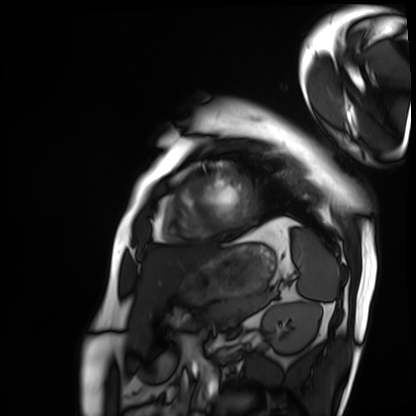
– modality: cardiac MRI
– subject group: patient